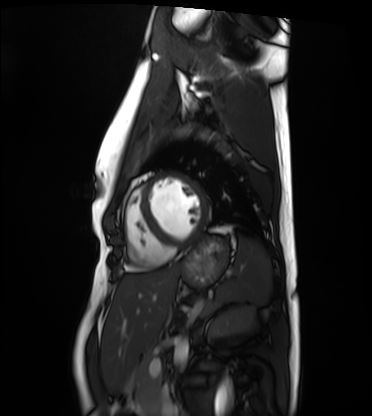
modality = cardiac MRI, subject group = healthy volunteer.